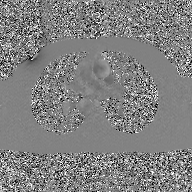
Q: What kind of scan is this?
A: 2D phase-contrast cine MRI of the ascending aorta, GAN super-resolution reconstruction.